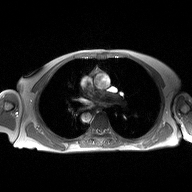
2D phase-contrast cine MRI of the ascending aorta, high-resolution GRAPPA acquisition.